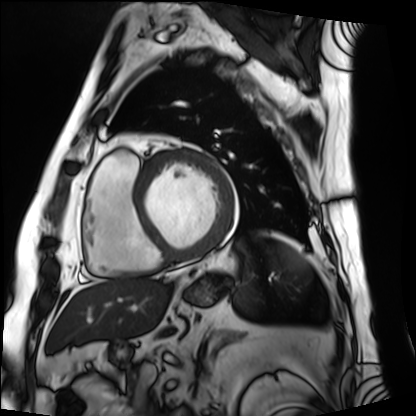
Summary: Cardiac MRI. Subject group: patient.